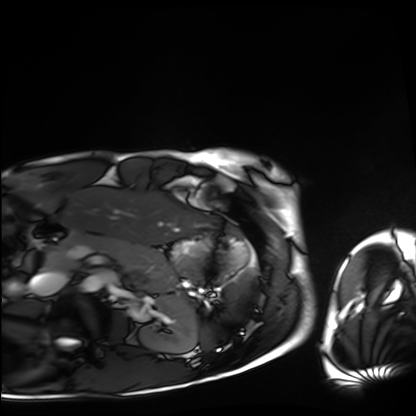
Cardiac MRI. Subject group: healthy volunteer.